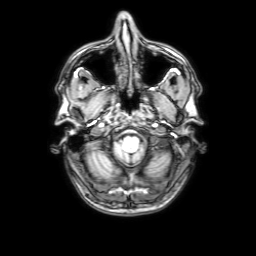
{
  "modality": {
    "type": "brain MRI",
    "field_strength": "3T"
  },
  "study_topic": "ring-enhancing brain masses"
}